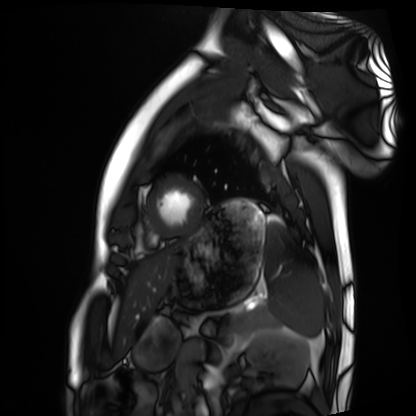
Cardiac MRI.
Subject group: healthy volunteer.